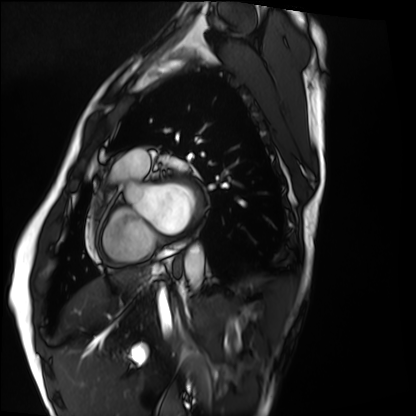
Cardiac MRI. Subject group: healthy volunteer.